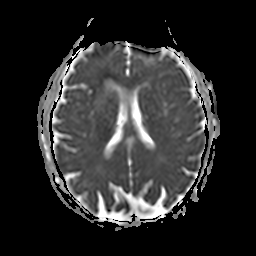
3 Tesla brain MRI.
Series: apparent diffusion coefficient (ADC) map.
Study: ring-enhancing brain masses.